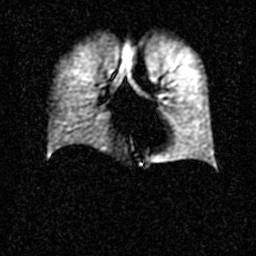
modality: hyperpolarized 129Xe ventilation MRI of the lungs
snr_level: 2 of 8 (the deposit holds this scan as its native image and as seven SNR-degraded versions)